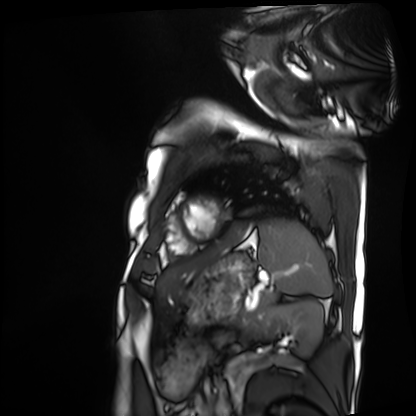
Cardiac MRI. Subject group: patient.